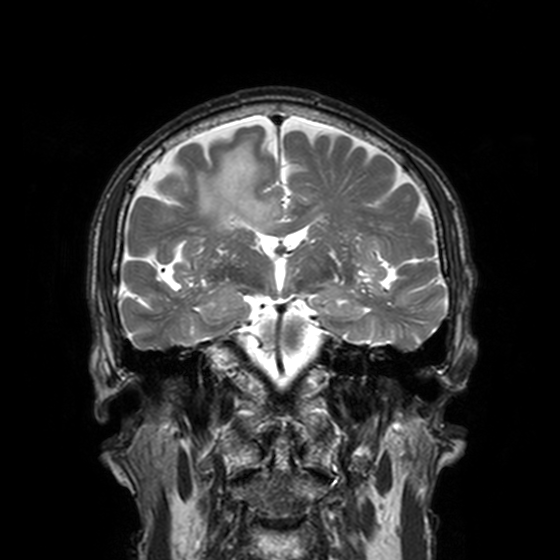
Summary: 3 Tesla brain MRI. Series: T2-weighted turbo spin echo, 3 mm. Study: ring-enhancing brain masses.